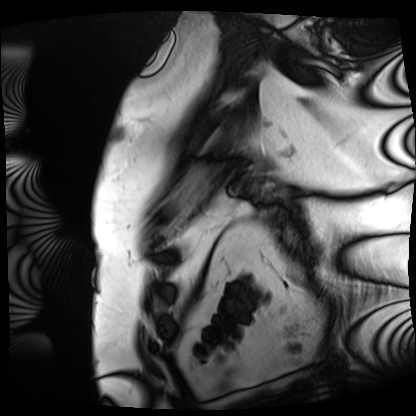
modality: cardiac MRI, subject group: patient.